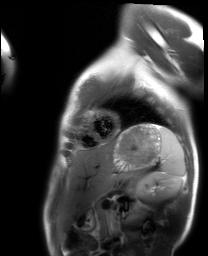
modality = cardiac MRI; subject group = healthy volunteer.